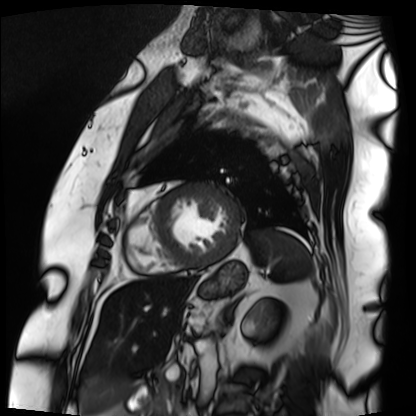
Cardiac MRI.
Subject group: patient.